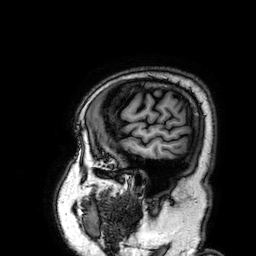
Summary:
3 Tesla brain MRI. Series: 3D T1-weighted. Study: ring-enhancing brain masses.